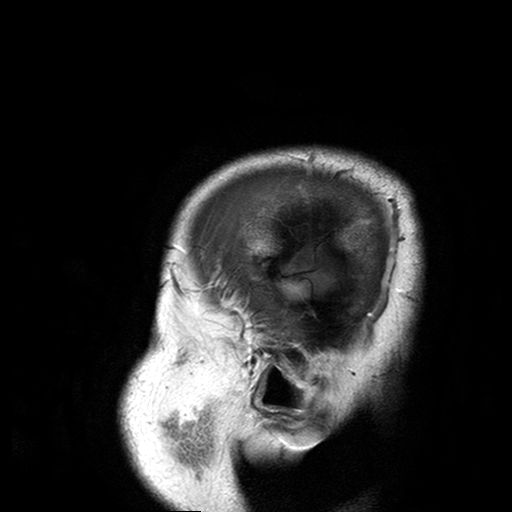
3 Tesla brain MRI. Series: T2-weighted turbo spin echo with SENSE. Study: ring-enhancing brain masses.